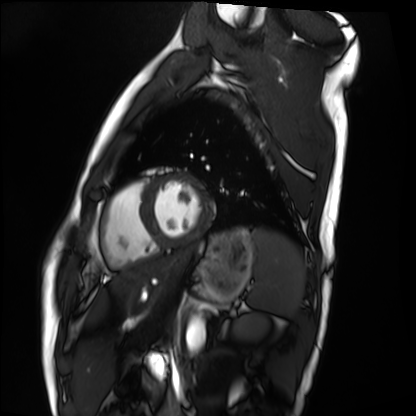
Q: What kind of scan is this?
A: Cardiac MRI.
Subject group: healthy volunteer.